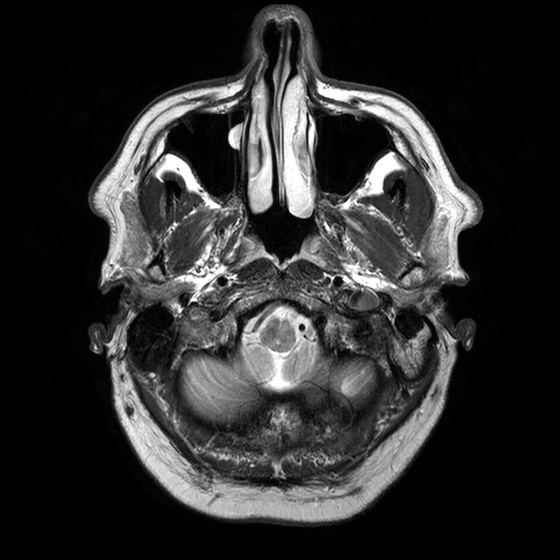
Q: What kind of scan is this?
A: 3 Tesla brain MRI.
Q: Series?
A: T2-weighted turbo spin echo with CLEAR.
Study: ring-enhancing brain masses.